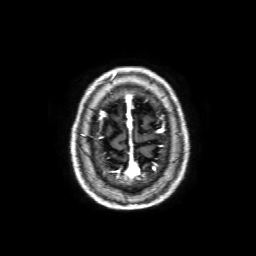
Clinical context: 3 Tesla brain MRI. Series: 3D T1-weighted with SENSE. Study: ring-enhancing brain masses.